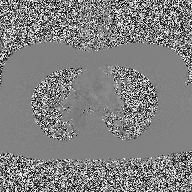
Case:
* modality: 2D phase-contrast cine MRI of the ascending aorta